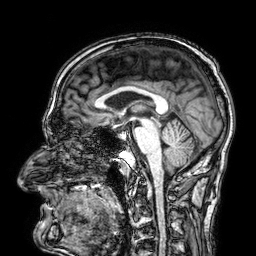
* modality · 3 Tesla brain MRI
* series · 3D T1-weighted
* study · ring-enhancing brain masses